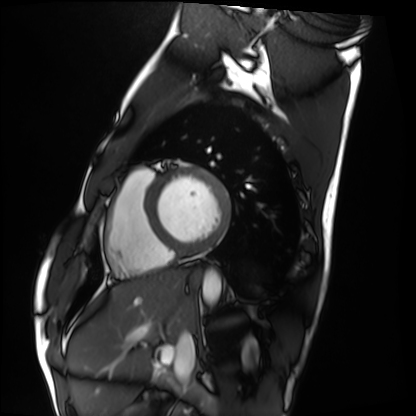
Summary:
Cardiac MRI. Subject group: healthy volunteer.